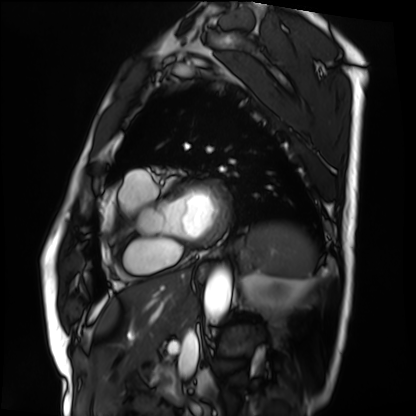
Case:
- modality: cardiac MRI
- subject group: patient